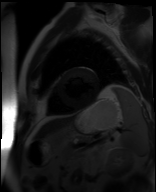
Cardiac MR image of the myocardium. Subject cohort: cardiac patient.